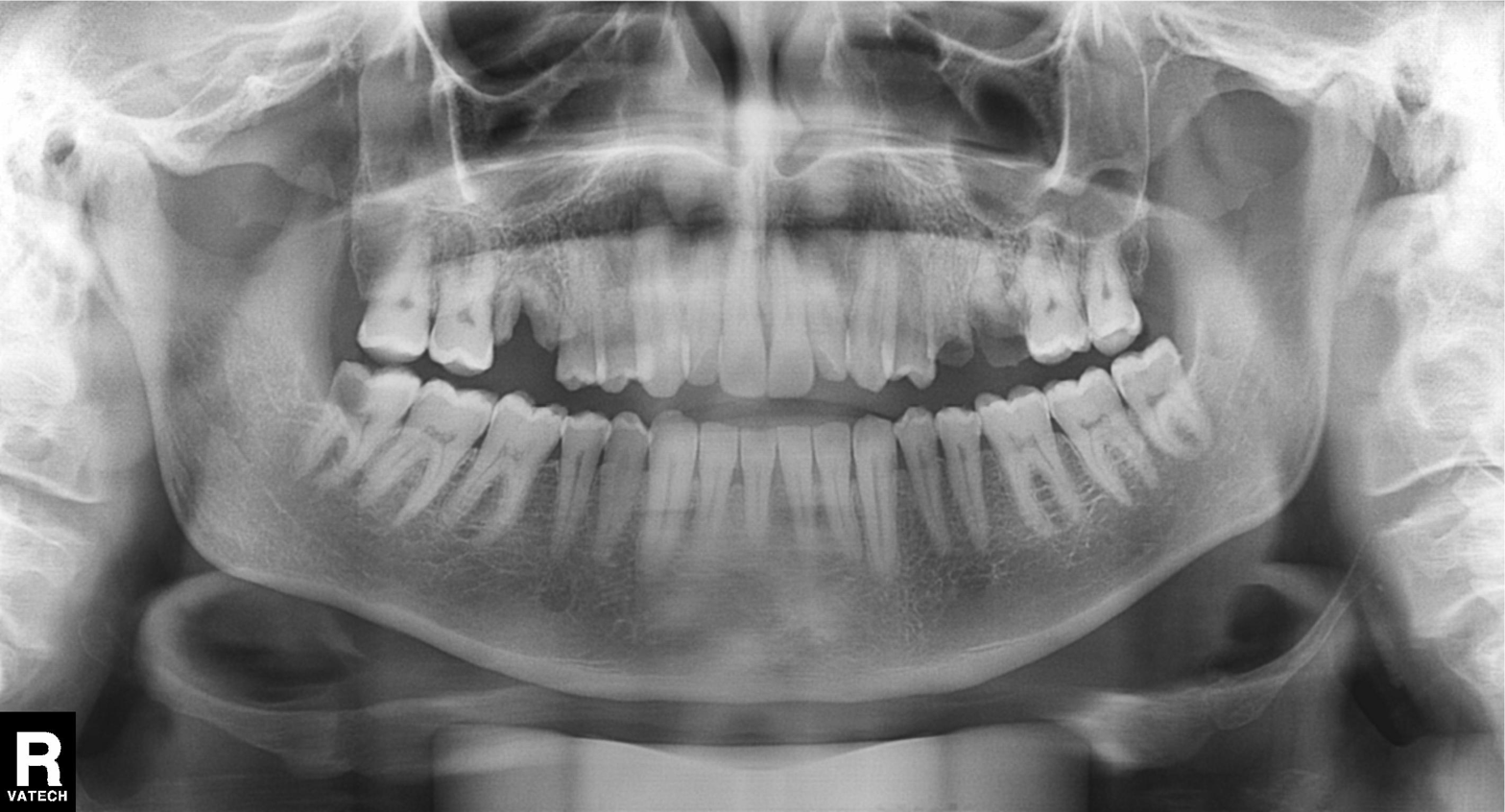
Q: What kind of scan is this?
A: Panoramic dental radiograph (orthopantomogram).
Q: What is the radiographic finding?
A: Tooth impaction.